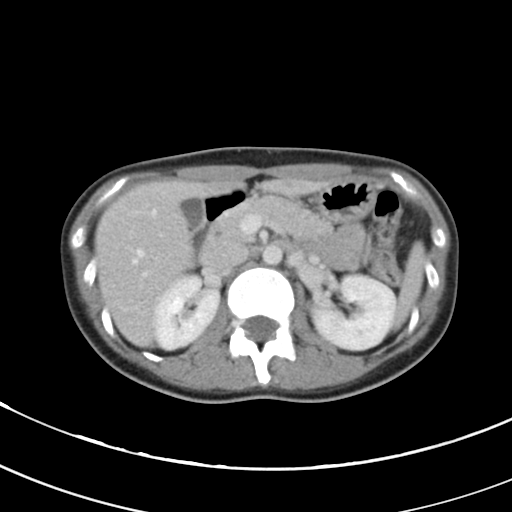
modality: multiphase abdominal CT, liver, portal venous phase
patient: male, age 63